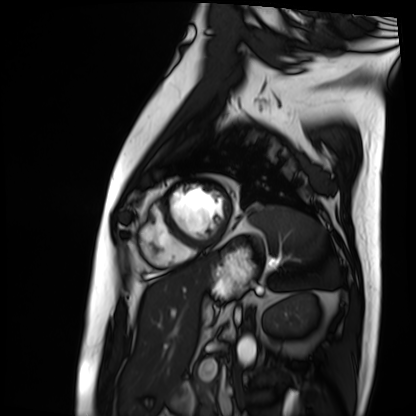
Cardiac MRI.
Subject group: patient.